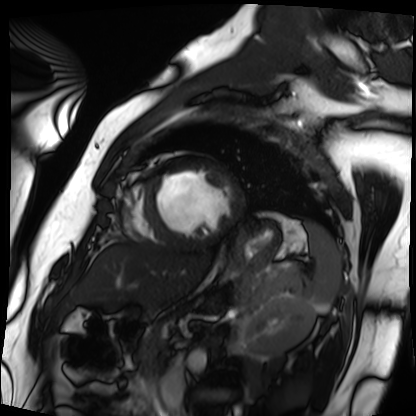
Summary:
Cardiac MRI. Subject group: patient.